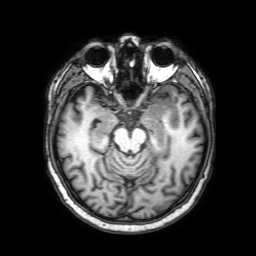
{
  "modality": {
    "type": "brain MRI",
    "field_strength": "3T"
  },
  "series": "3D T1-weighted with SENSE",
  "study_topic": "ring-enhancing brain masses"
}